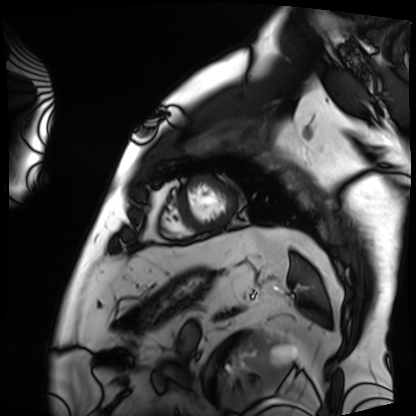
modality = cardiac MRI
subject group = patient